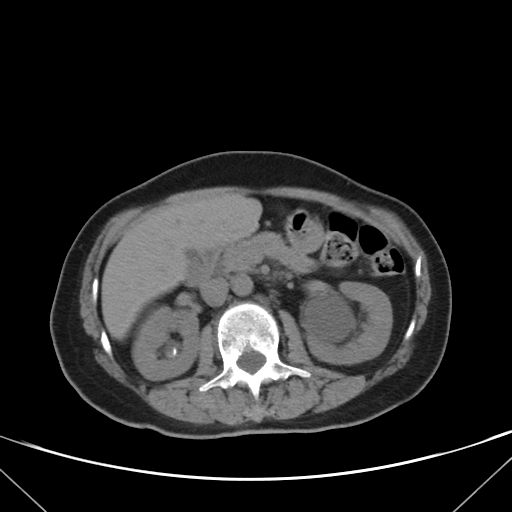
modality: multiphase abdominal CT, liver, non-contrast phase
patient: female, age 62